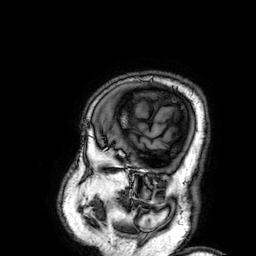
| field | value |
|---|---|
| modality | 3 Tesla brain MRI |
| series | 3D T1-weighted |
| study | ring-enhancing brain masses |